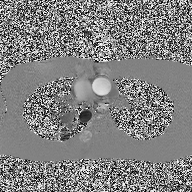
modality = 2D phase-contrast cine MRI of the ascending aorta.